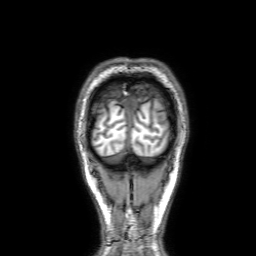
modality: 3 Tesla brain MRI | series: 3D T1-weighted with SENSE | study: ring-enhancing brain masses.